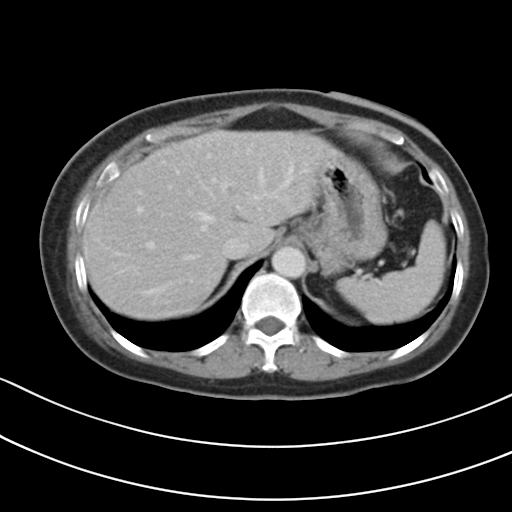
modality: multiphase abdominal CT, liver, delayed phase | patient: female, age 54.